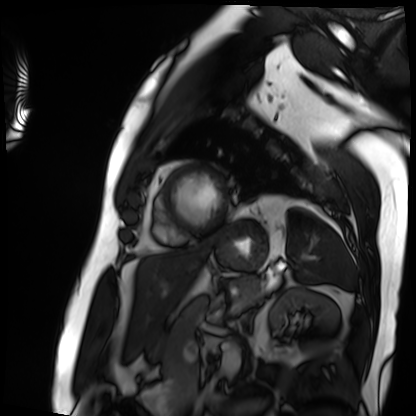
Q: What kind of scan is this?
A: Cardiac MRI.
Subject group: patient.